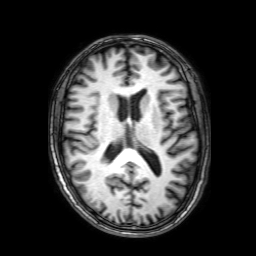
3 Tesla brain MRI. Series: 3D T1-weighted with SENSE. Study: ring-enhancing brain masses.